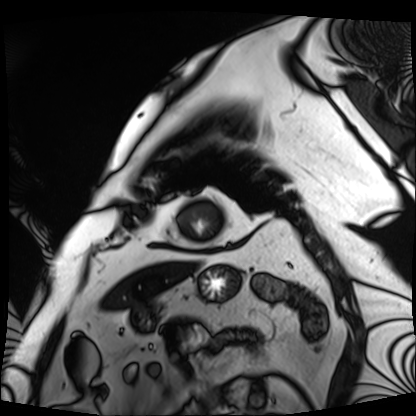
Cardiac MRI. Subject group: patient.